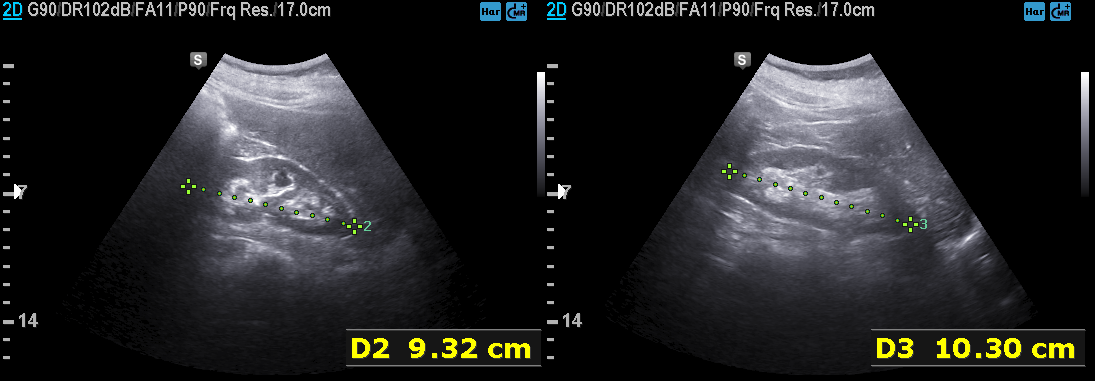
Clinical context: Genitourinary ultrasound.